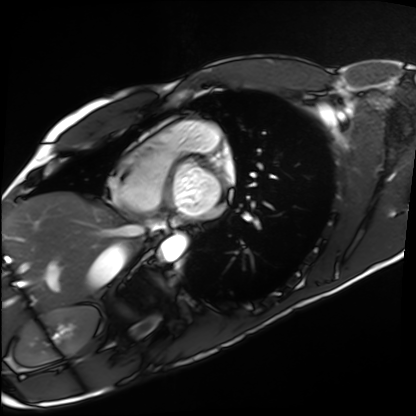
  modality: cardiac MRI
  cohort: healthy volunteer